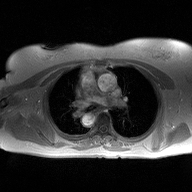
Q: What kind of scan is this?
A: 2D phase-contrast cine MRI of the ascending aorta.